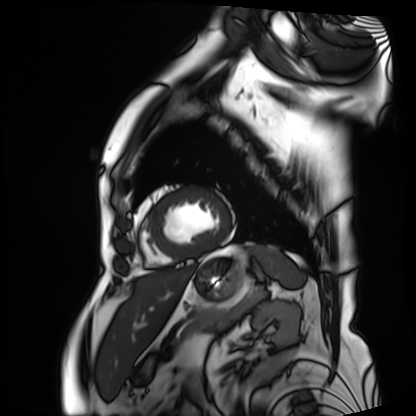
modality — cardiac MRI
subject group — patient